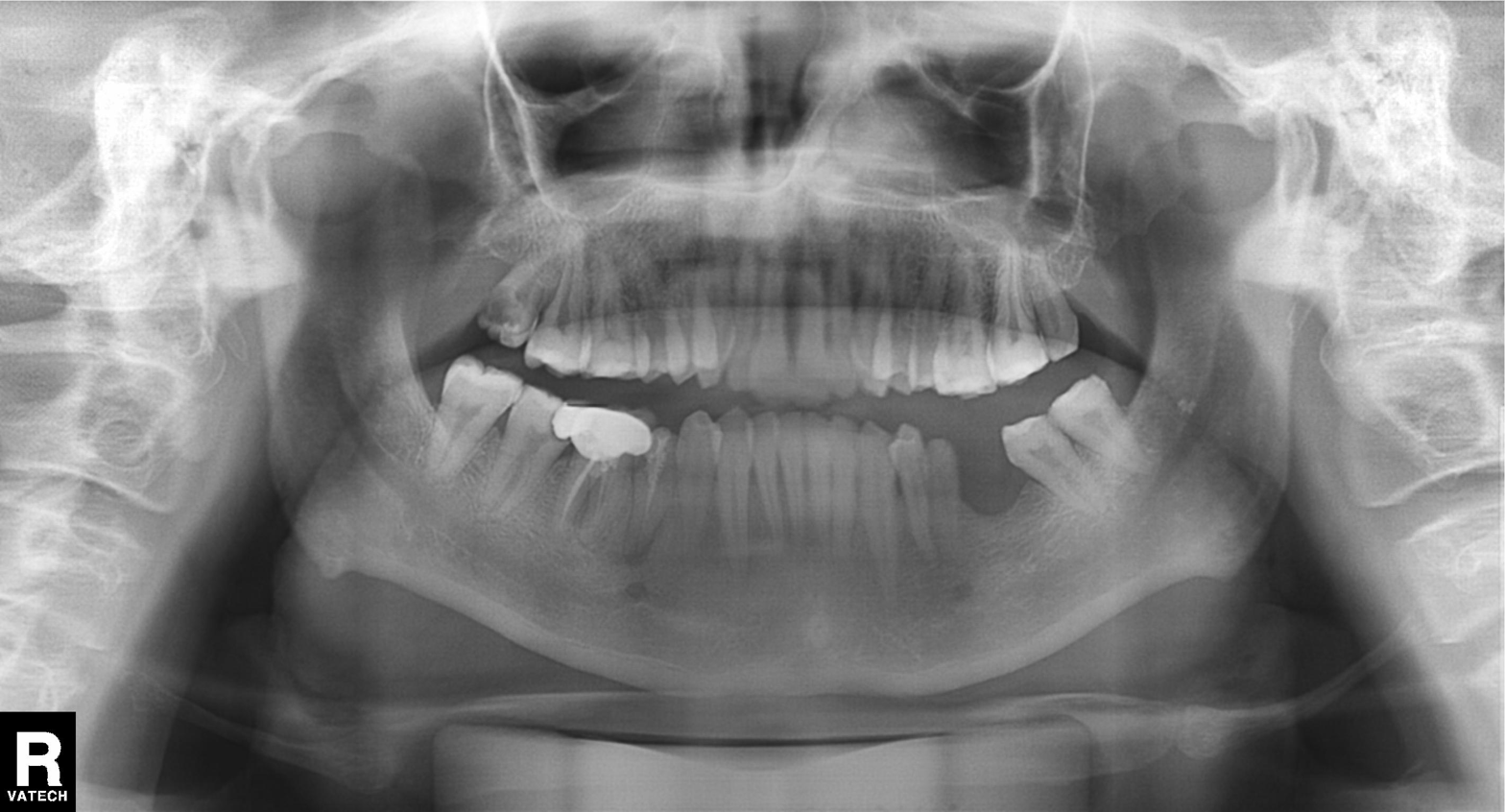
{"modality": "panoramic dental radiograph (orthopantomogram)", "finding": "dental caries (cavities)"}